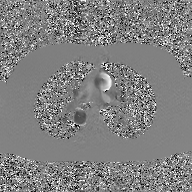
Case:
* modality · 2D phase-contrast cine MRI of the ascending aorta, GAN super-resolution reconstruction